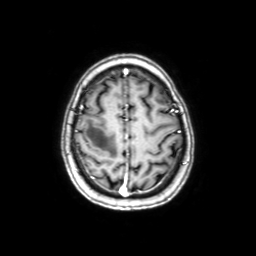
3 Tesla brain MRI. Series: axial with contrast. Study: ring-enhancing brain masses.